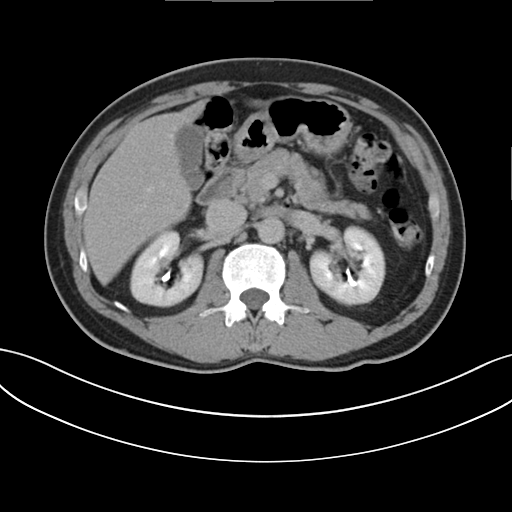
Multiphase abdominal CT, liver, delayed phase. Patient: male, age 60. History: cirrhosis.